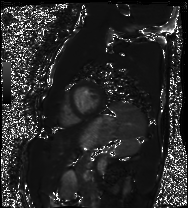
Summary:
Cardiac MRI. Subject group: healthy volunteer.